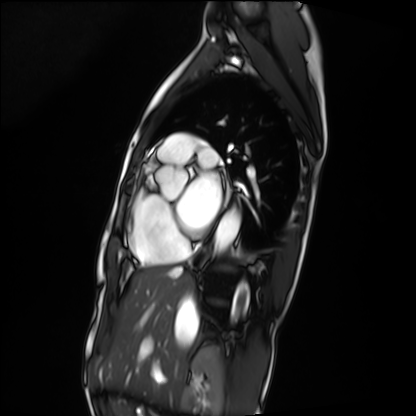
- modality · cardiac MRI
- subject group · patient